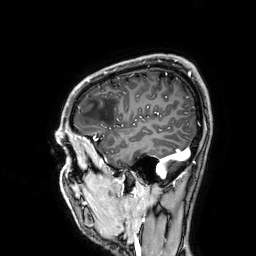
3 Tesla brain MRI. Study: ring-enhancing brain masses.